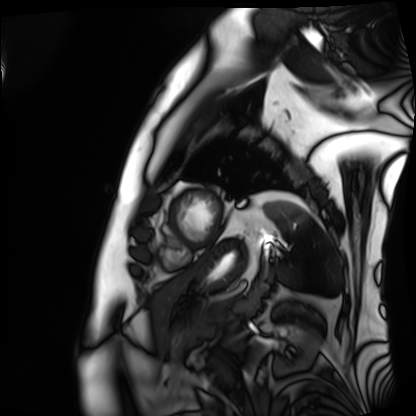
Cardiac MRI. Subject group: patient.